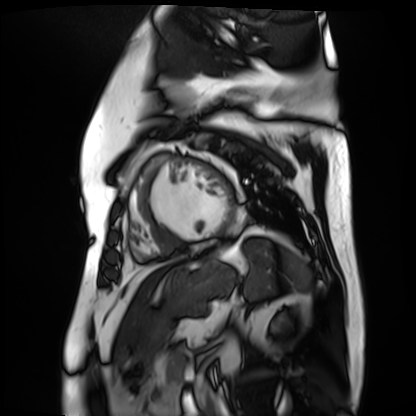
Q: What kind of scan is this?
A: Cardiac MR image of the myocardium.
Subject cohort: cardiac patient.